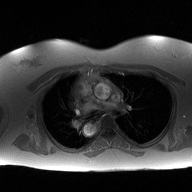
2D phase-contrast cine MRI of the ascending aorta, high-resolution GRAPPA acquisition.